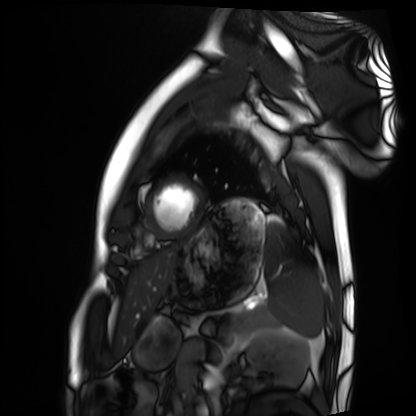
Cardiac MRI.
Subject group: healthy volunteer.